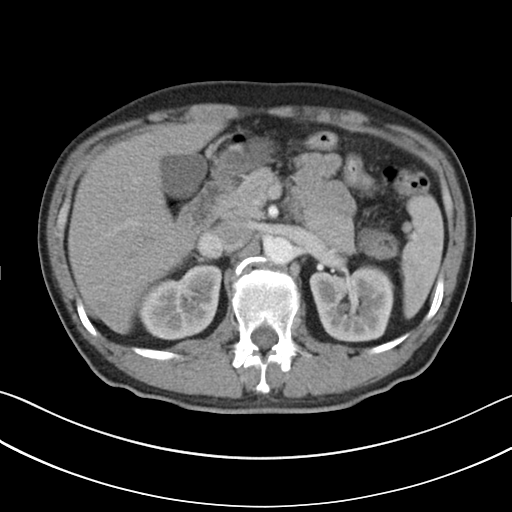
Multiphase abdominal CT, liver, arterial phase.
Patient: male, age 45.